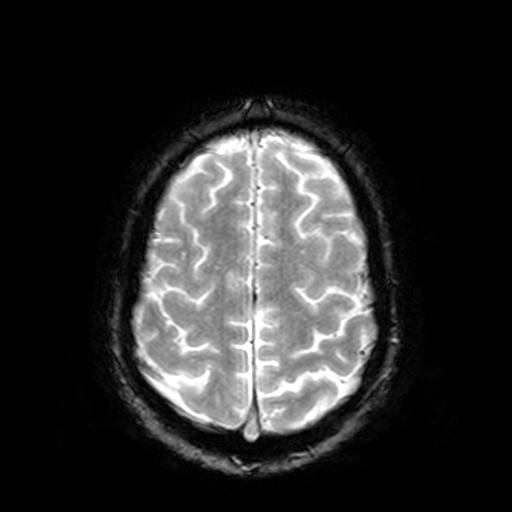
Q: What kind of scan is this?
A: 3 Tesla brain MRI.
Q: Series?
A: T2-weighted fast field echo.
Study: ring-enhancing brain masses.